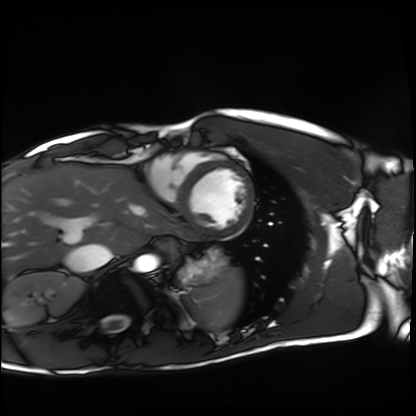
{"modality": "cardiac MRI", "cohort": "healthy volunteer"}